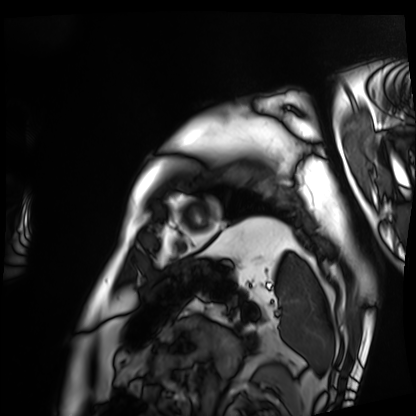
modality=cardiac MRI; subject group=patient.